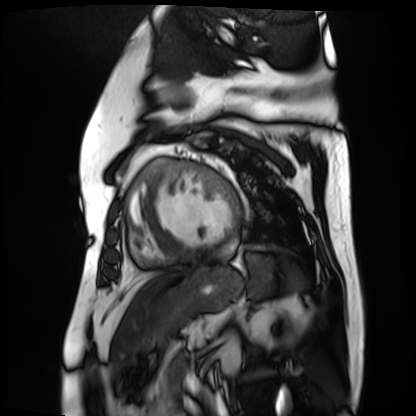
Cardiac MR image of the myocardium. Subject cohort: cardiac patient.